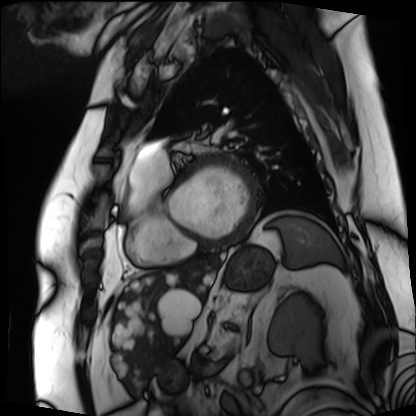
Summary: Cardiac MRI. Subject group: patient.